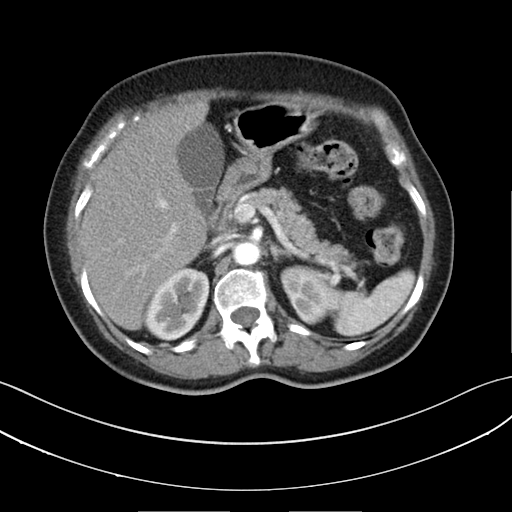
modality = multiphase abdominal CT, liver, arterial phase | patient = female, age 64 | history = prior chemotherapy.